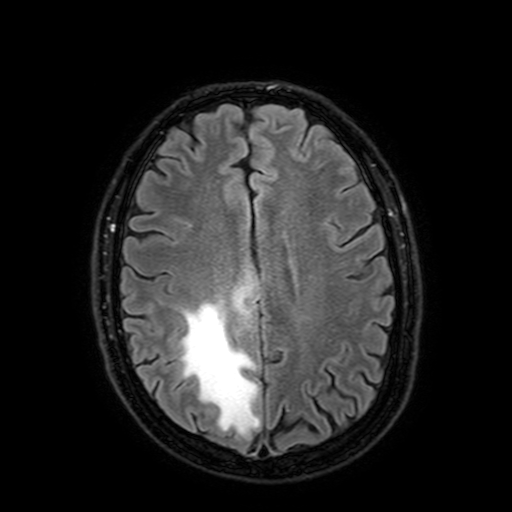
3 Tesla brain MRI. Series: FLAIR with SPAIR, 3 mm. Study: ring-enhancing brain masses.